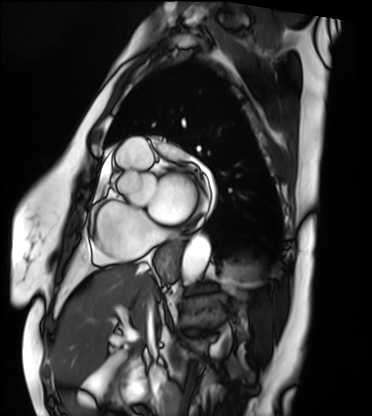
Clinical context: Cardiac MRI. Subject group: patient.